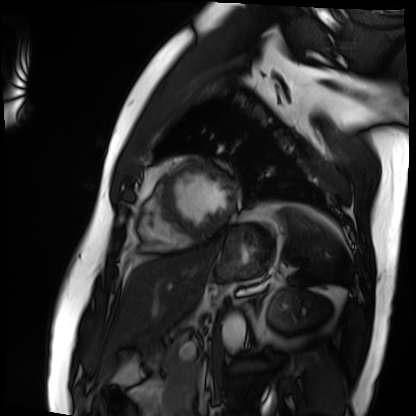
Cardiac MRI.
Subject group: patient.